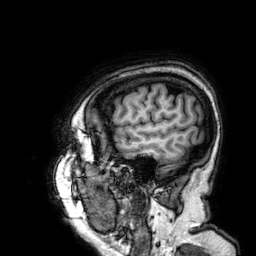
Summary:
3 Tesla brain MRI. Series: 3D T1-weighted. Study: ring-enhancing brain masses.